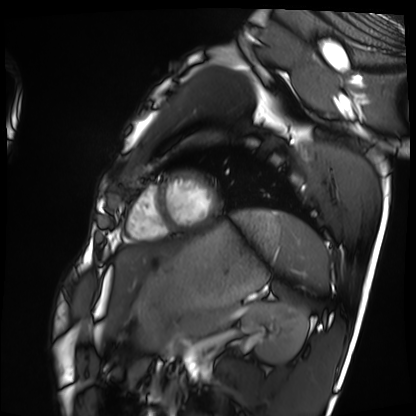
Cardiac MRI.
Subject group: healthy volunteer.